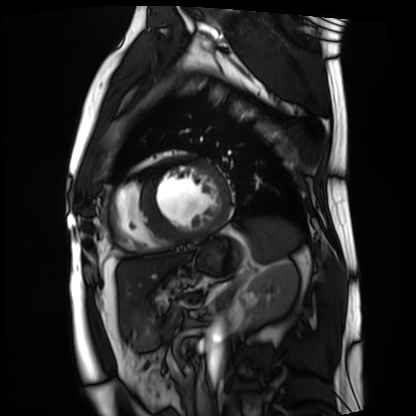
Cardiac MRI. Subject group: patient.